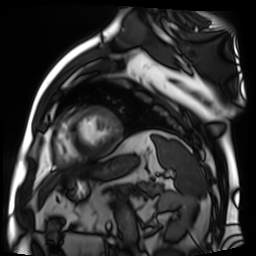
{
  "modality": "cardiac MR image of the myocardium",
  "cohort": "cardiac patient"
}